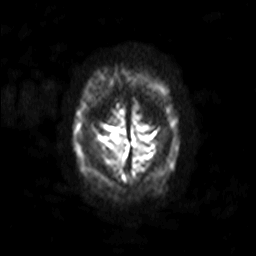
Clinical context:
3 Tesla brain MRI. Series: diffusion-weighted imaging with SENSE (WIP). Study: ring-enhancing brain masses.